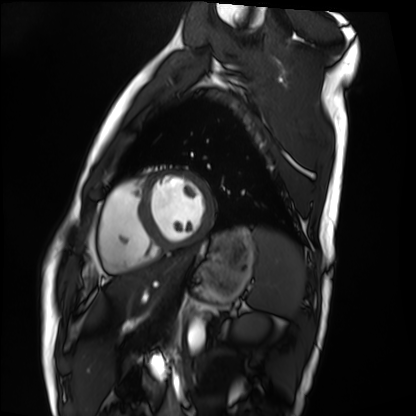
Cardiac MRI.
Subject group: healthy volunteer.